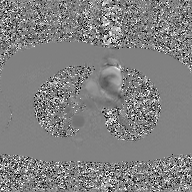
Clinical context: 2D phase-contrast cine MRI of the ascending aorta, GAN super-resolution reconstruction.